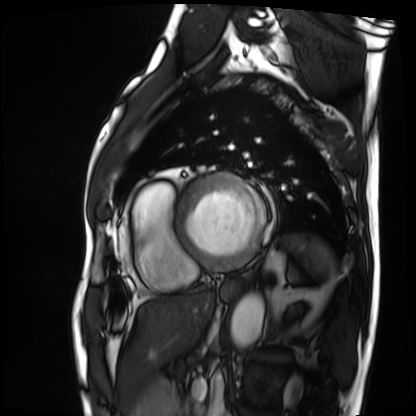
Cardiac MRI. Subject group: patient.